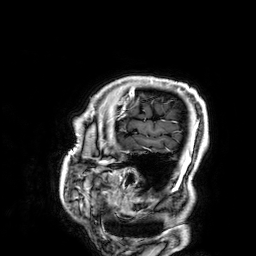
3 Tesla brain MRI. Series: 3D T1-weighted. Study: ring-enhancing brain masses.